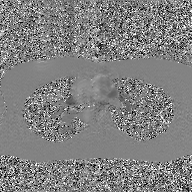
modality = 2D phase-contrast cine MRI of the ascending aorta, GAN super-resolution reconstruction